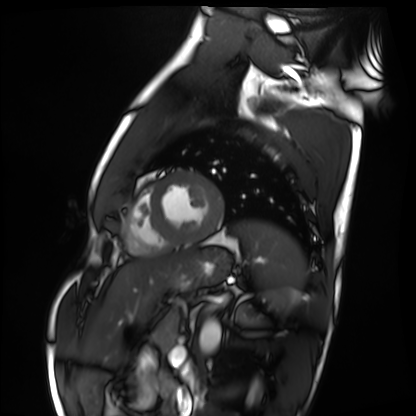
Summary:
Cardiac MRI. Subject group: healthy volunteer.